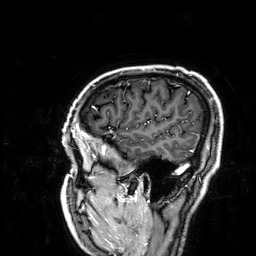
3 Tesla brain MRI. Study: ring-enhancing brain masses.